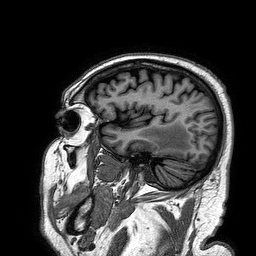
| field | value |
|---|---|
| modality | 3 Tesla brain MRI |
| series | 3D T1-weighted turbo field echo |
| study | ring-enhancing brain masses |